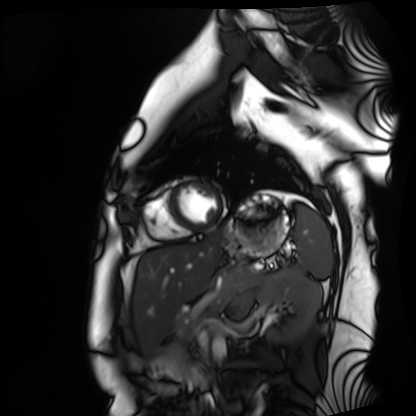
Cardiac MRI.
Subject group: healthy volunteer.